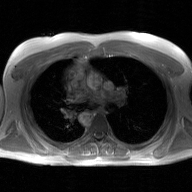
2D phase-contrast cine MRI of the ascending aorta, GAN super-resolution reconstruction.